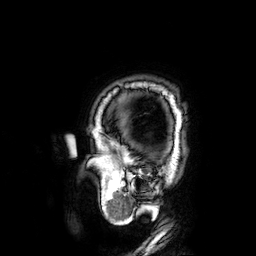
3 Tesla brain MRI.
Series: 3D T1-weighted.
Study: ring-enhancing brain masses.